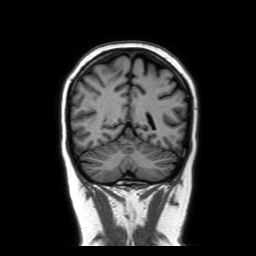
modality:
  type: brain MRI
  field_strength: 3T
series: coronal without contrast
study_topic: ring-enhancing brain masses